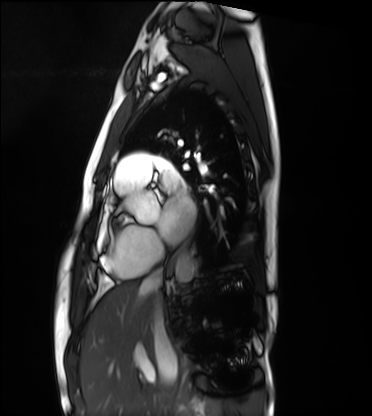
Clinical context:
Cardiac MRI. Subject group: healthy volunteer.